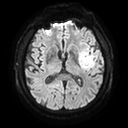
3 Tesla brain MRI.
Series: diffusion tensor imaging (medium iso).
Study: ring-enhancing brain masses.